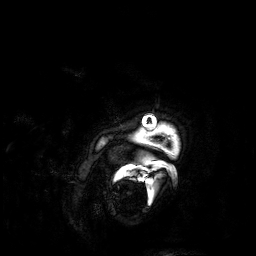
• modality · 3 Tesla brain MRI
• series · 3D T1-weighted
• study · ring-enhancing brain masses